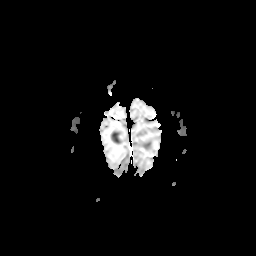
modality: 3 Tesla brain MRI; series: apparent diffusion coefficient (ADC) map; study: ring-enhancing brain masses.